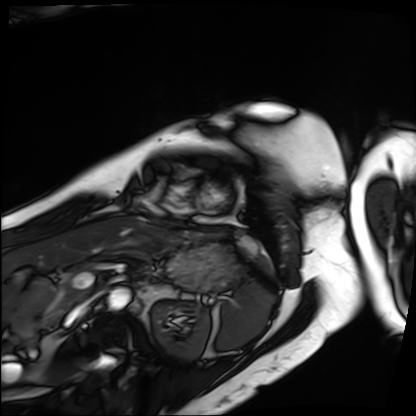
* modality · cardiac MRI
* subject group · patient